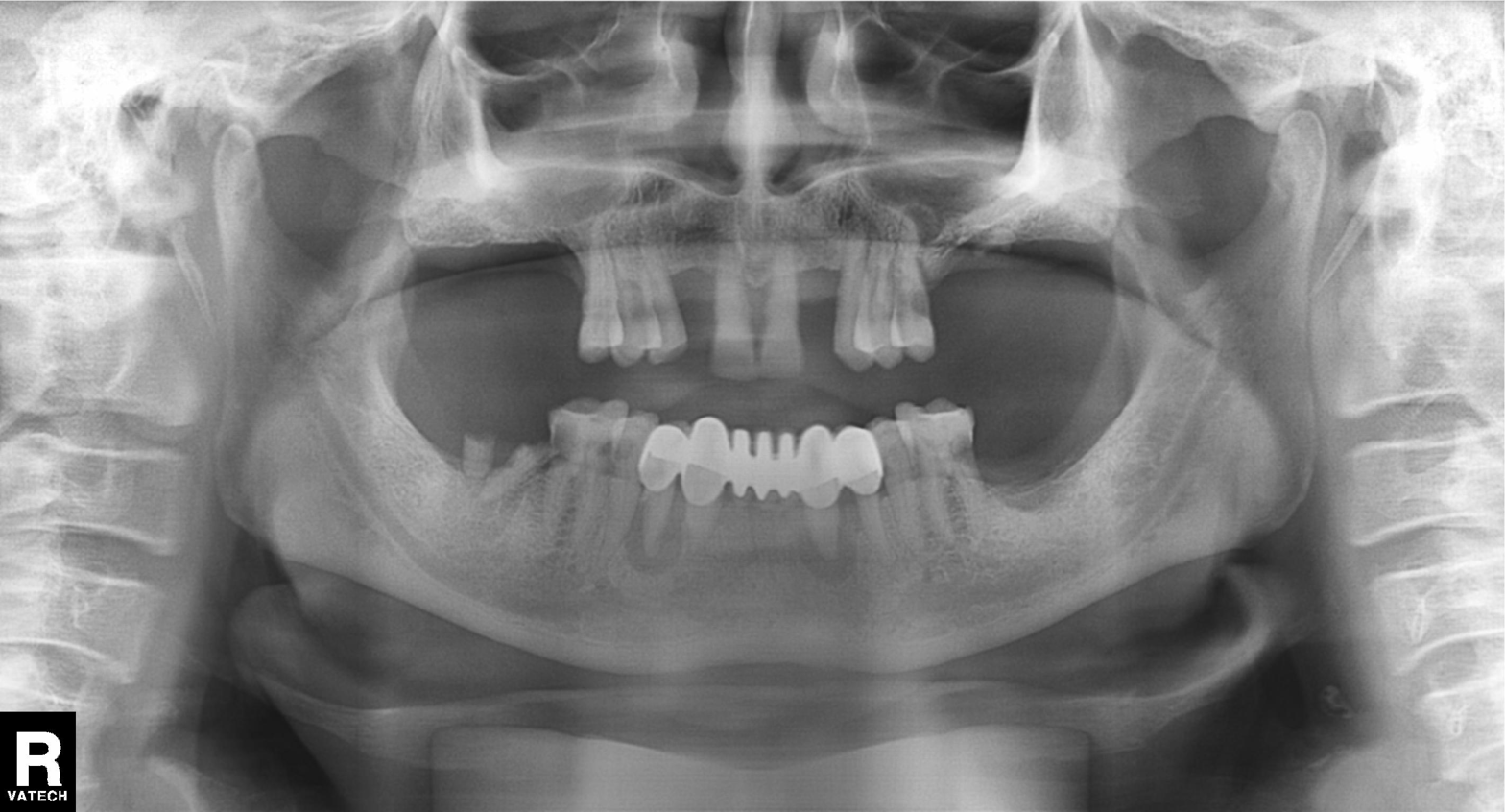
modality = panoramic dental radiograph (orthopantomogram) | finding = alveolar bone loss.